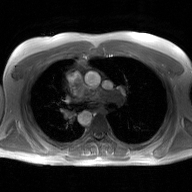
modality:
  type: 2D phase-contrast cine MRI
  region: ascending aorta
  reconstruction: GAN super-resolution reconstruction